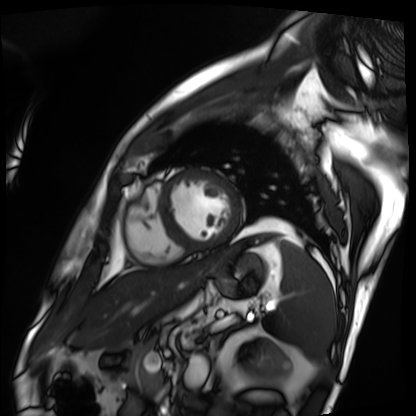
Cardiac MRI. Subject group: patient.